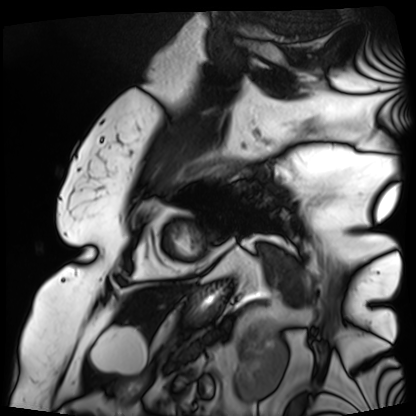
Cardiac MRI.
Subject group: patient.